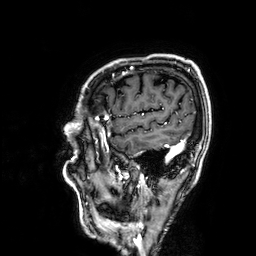
3 Tesla brain MRI. Series: 3D T1-weighted. Study: ring-enhancing brain masses.